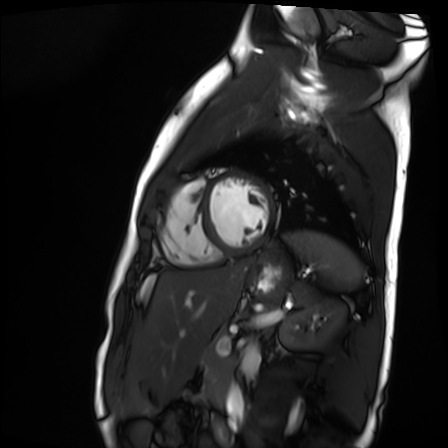
Summary:
Cardiac MR image of the myocardium. Subject cohort: healthy volunteer.